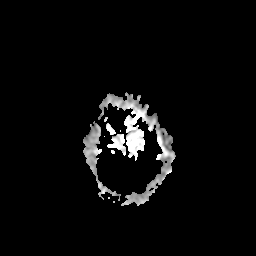
3 Tesla brain MRI. Series: apparent diffusion coefficient (ADC) map. Study: ring-enhancing brain masses.